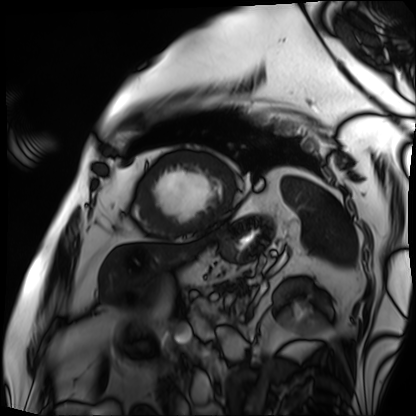
Q: What kind of scan is this?
A: Cardiac MRI.
Subject group: patient.